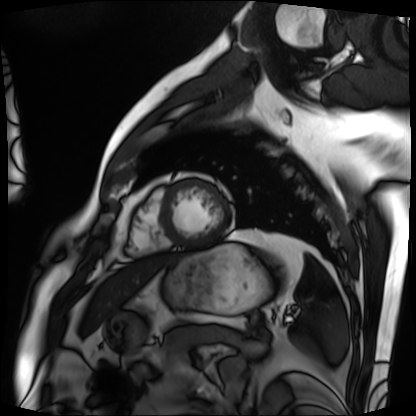
Q: What kind of scan is this?
A: Cardiac MRI.
Subject group: patient.